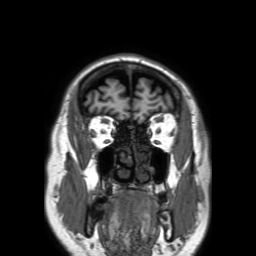
3 Tesla brain MRI. Series: 3D T1-weighted TFE with SENSE. Study: ring-enhancing brain masses.